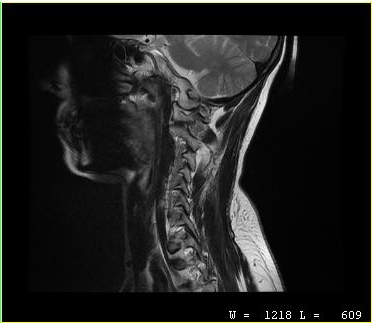
• modality: MRI of the cervical spine
• study: cervical spondylosis